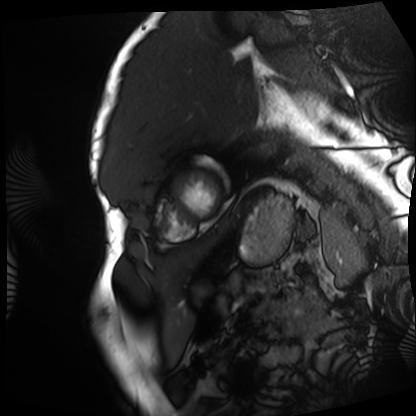
Cardiac MRI. Subject group: patient.